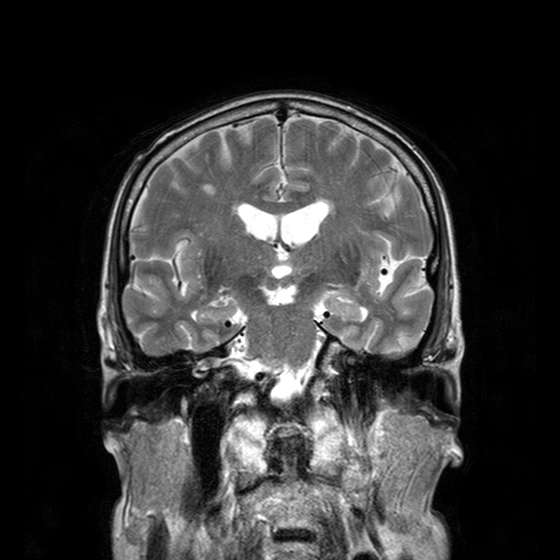
modality = 3 Tesla brain MRI
series = T2-weighted turbo spin echo with CLEAR
study = ring-enhancing brain masses